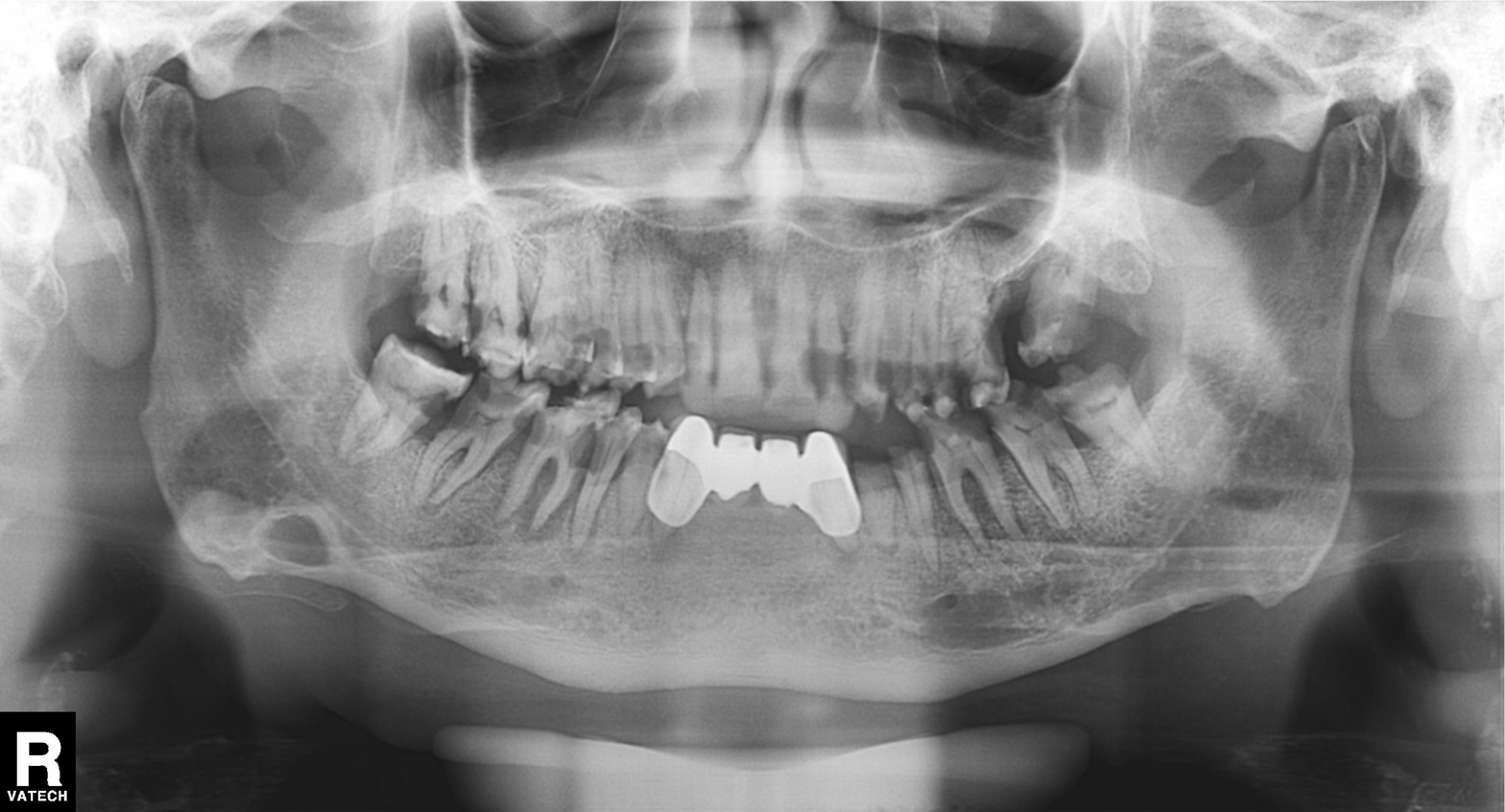
Panoramic dental radiograph (orthopantomogram). Finding: dental caries (cavities).